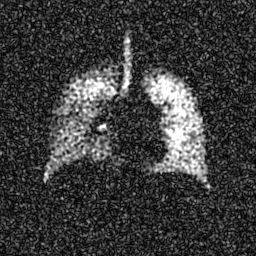
modality: hyperpolarized 129Xe ventilation MRI of the lungs
SNR level: 7 of 8 (the deposit holds this scan as its native image and as seven SNR-degraded versions)